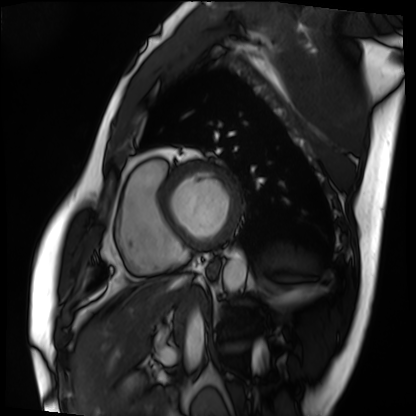
Cardiac MRI. Subject group: patient.